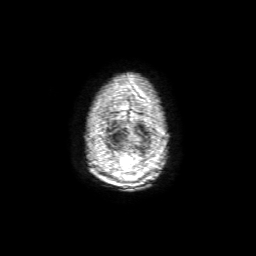
* modality — 3 Tesla brain MRI
* series — 3D T1-weighted with SENSE
* study — ring-enhancing brain masses